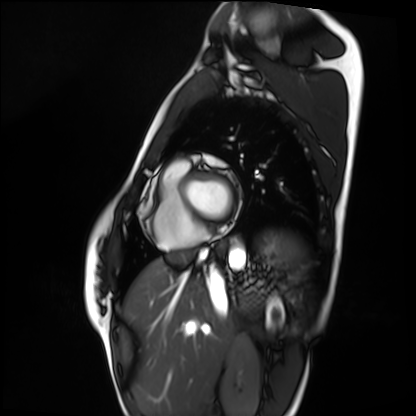
| field | value |
|---|---|
| modality | cardiac MRI |
| subject group | healthy volunteer |